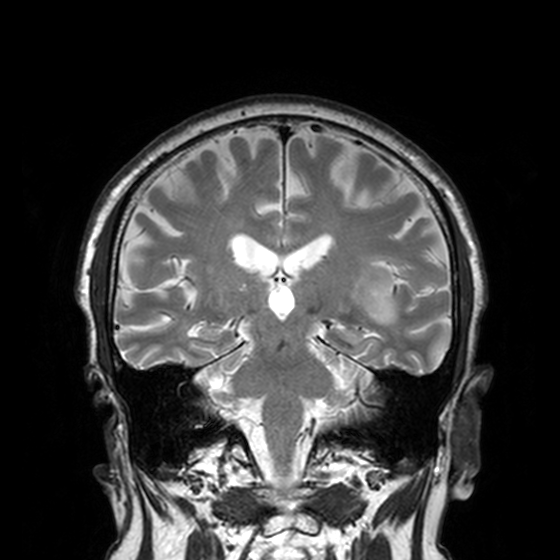
• modality — 3 Tesla brain MRI
• series — T2-weighted turbo spin echo, 3 mm
• study — ring-enhancing brain masses